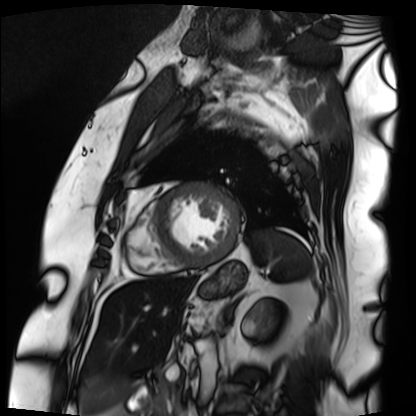
Cardiac MRI. Subject group: patient.